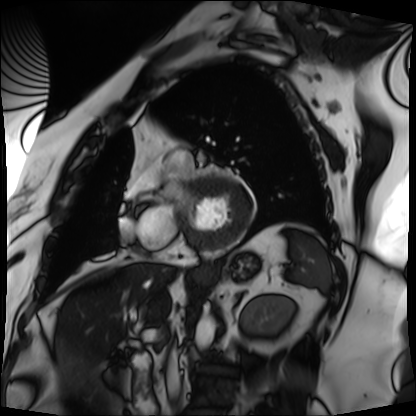
{"modality": "cardiac MRI", "cohort": "patient"}